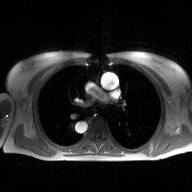
2D phase-contrast cine MRI of the ascending aorta, high-resolution GRAPPA acquisition.